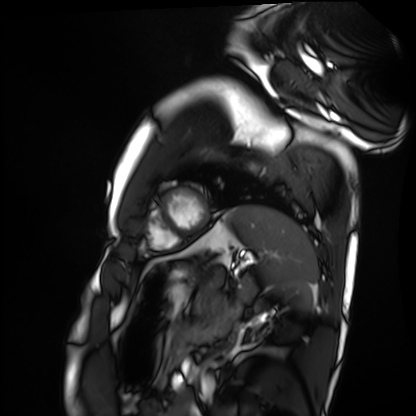
Summary:
Cardiac MRI. Subject group: healthy volunteer.